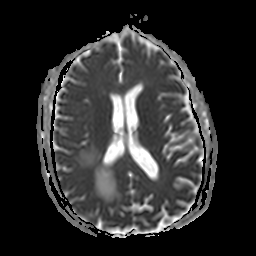
Summary:
3 Tesla brain MRI. Series: apparent diffusion coefficient (ADC) map. Study: ring-enhancing brain masses.